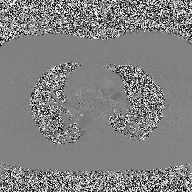
| field | value |
|---|---|
| modality | 2D phase-contrast cine MRI of the ascending aorta |